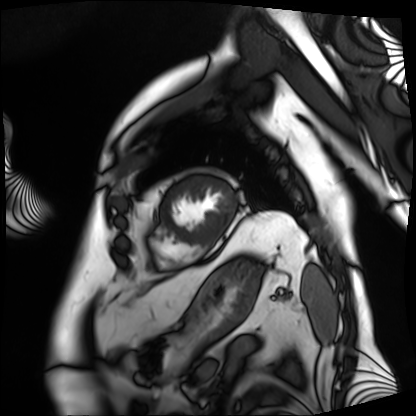
Case:
* modality · cardiac MRI
* subject group · patient